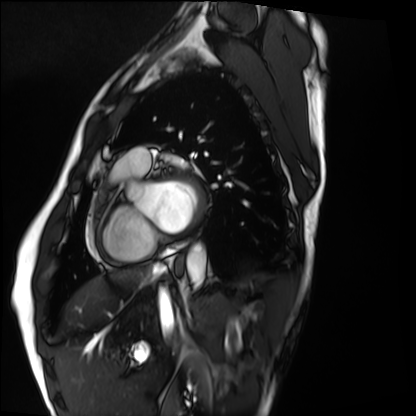
Cardiac MRI. Subject group: healthy volunteer.